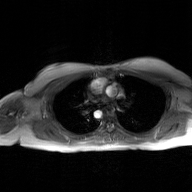
modality = 2D phase-contrast cine MRI of the ascending aorta, GAN super-resolution reconstruction.